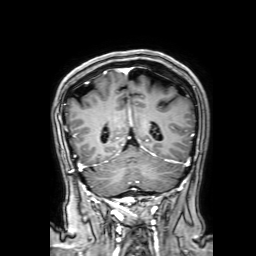
Q: What kind of scan is this?
A: 3 Tesla brain MRI.
Q: Series?
A: 3D T1-weighted with SENSE.
Study: ring-enhancing brain masses.